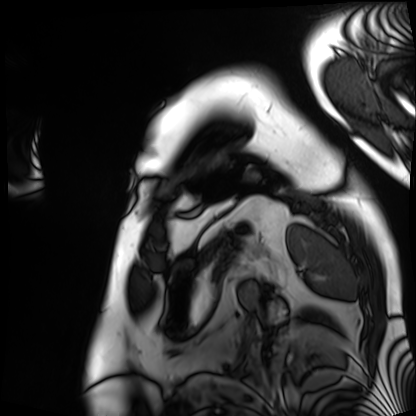
modality: cardiac MRI
subject group: patient